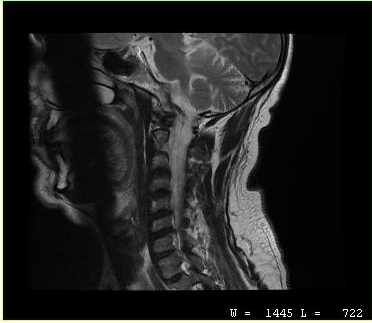
Summary:
MRI of the cervical spine. Study: cervical spondylosis.